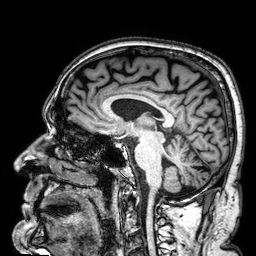
  modality:
    type: brain MRI
    field_strength: 3T
  series: 3D T1-weighted
  study_topic: ring-enhancing brain masses